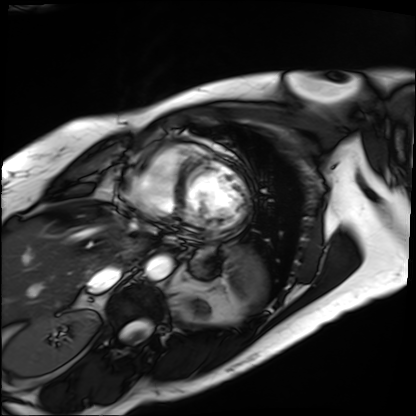
Summary: Cardiac MRI. Subject group: patient.